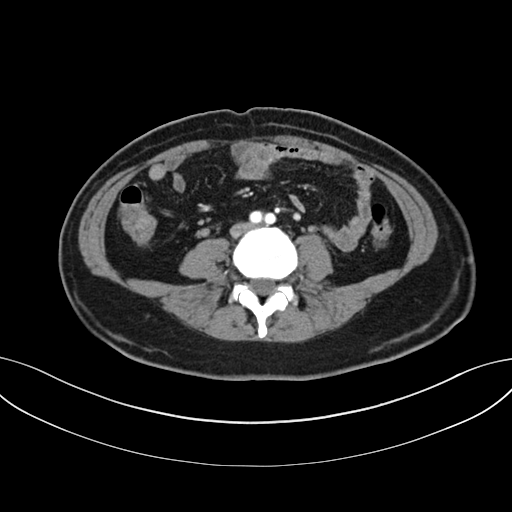
Multiphase abdominal CT, liver, arterial phase. Patient: female, age 47. History: prior chemotherapy.